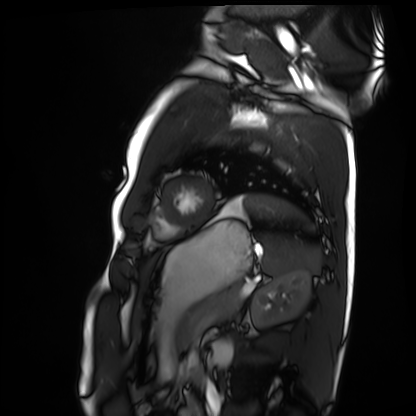
Clinical context: Cardiac MRI. Subject group: healthy volunteer.